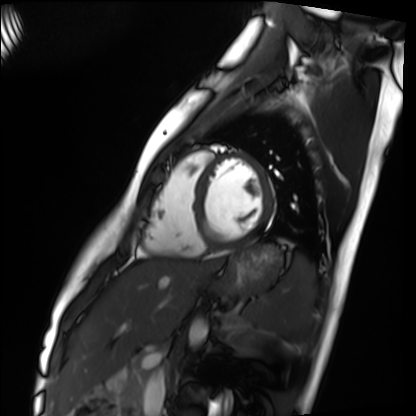
Case summary:
Cardiac MRI. Subject group: healthy volunteer.